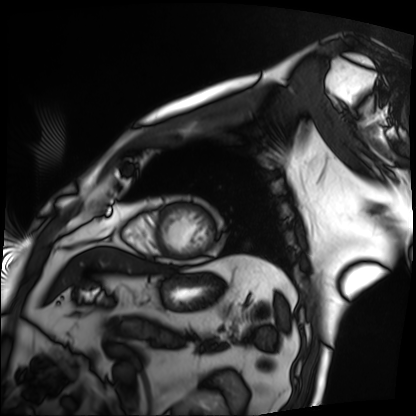
• modality: cardiac MRI
• subject group: patient